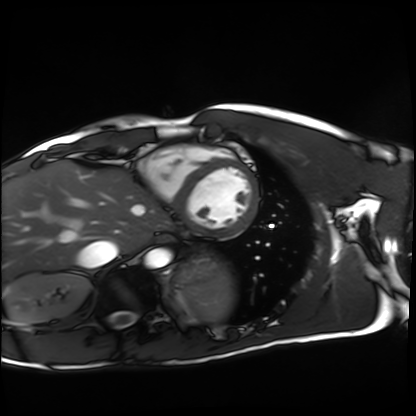
Case summary: Cardiac MRI. Subject group: healthy volunteer.